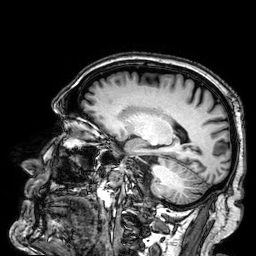
3 Tesla brain MRI. Series: 3D T1-weighted. Study: ring-enhancing brain masses.